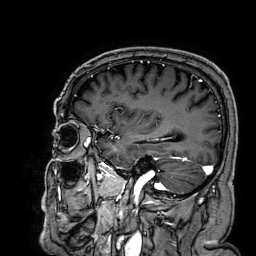
modality: 3 Tesla brain MRI; series: 3D T1-weighted; study: ring-enhancing brain masses.